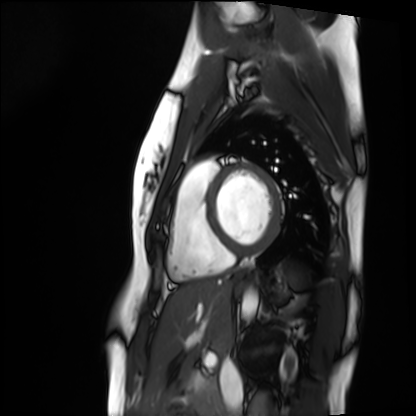
modality: cardiac MRI
subject group: healthy volunteer